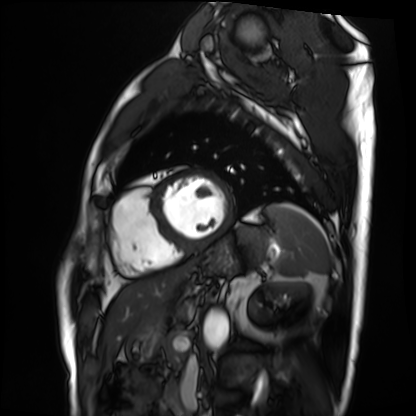
Clinical context: Cardiac MRI. Subject group: patient.